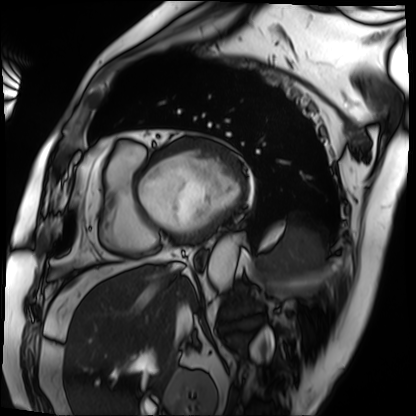
Clinical context:
Cardiac MRI. Subject group: patient.